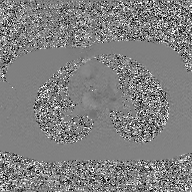
2D phase-contrast cine MRI of the ascending aorta, GAN super-resolution reconstruction.